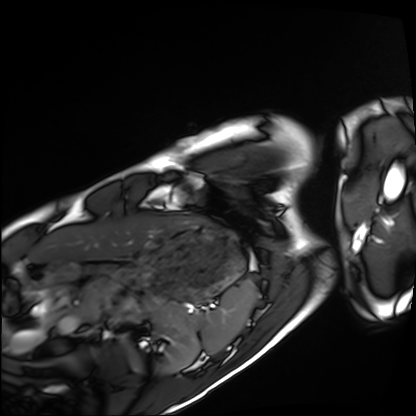
Cardiac MRI. Subject group: healthy volunteer.